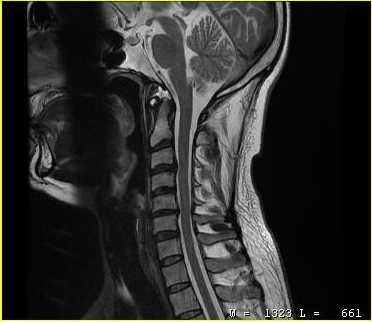
MRI of the cervical spine.
Study: cervical spondylosis.